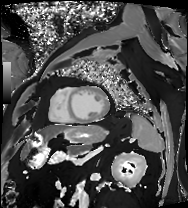
modality = cardiac MRI | subject group = patient.